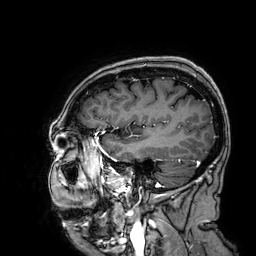
* modality — 3 Tesla brain MRI
* series — 3D T1-weighted
* study — ring-enhancing brain masses